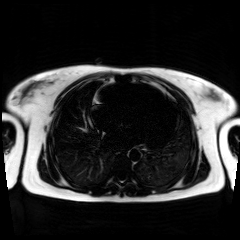
Chemical-shift-encoded cardiac MRI.